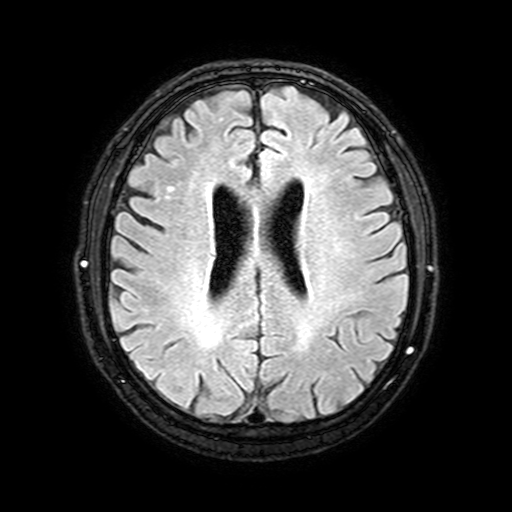
3 Tesla brain MRI. Series: FLAIR with SPAIR, 3 mm. Study: ring-enhancing brain masses.